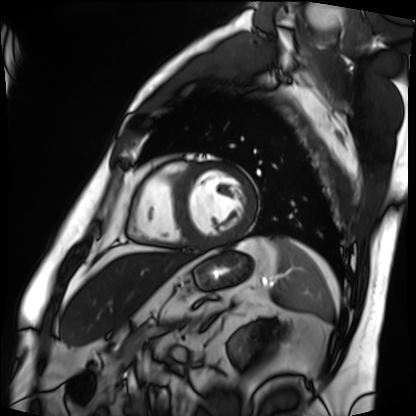
Cardiac MRI. Subject group: patient.